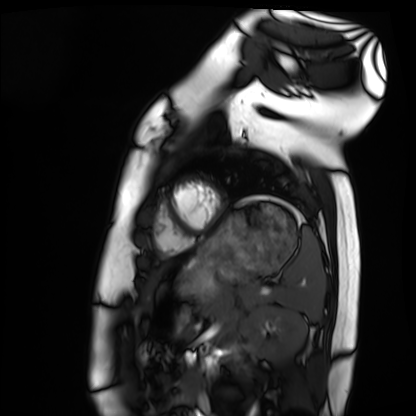
Q: What kind of scan is this?
A: Cardiac MRI.
Subject group: healthy volunteer.